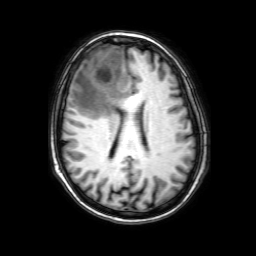
* modality · 3 Tesla brain MRI
* series · 3D T1-weighted with SENSE
* study · ring-enhancing brain masses